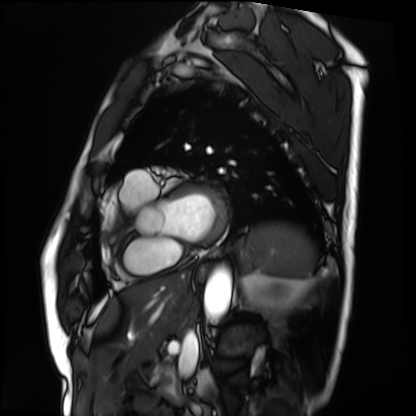
Cardiac MRI.
Subject group: patient.